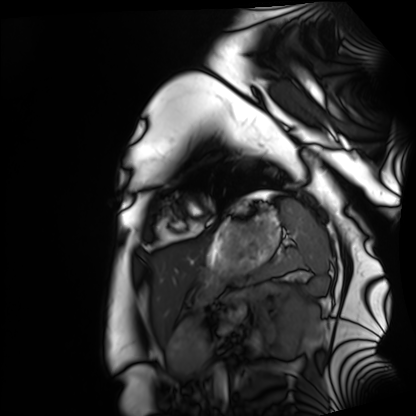
  modality: cardiac MRI
  cohort: healthy volunteer